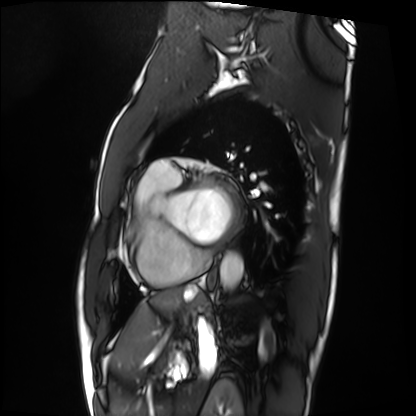
Case summary:
Cardiac MRI. Subject group: patient.